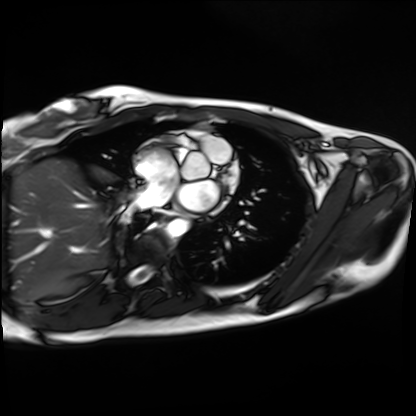
Clinical context:
Cardiac MRI. Subject group: healthy volunteer.